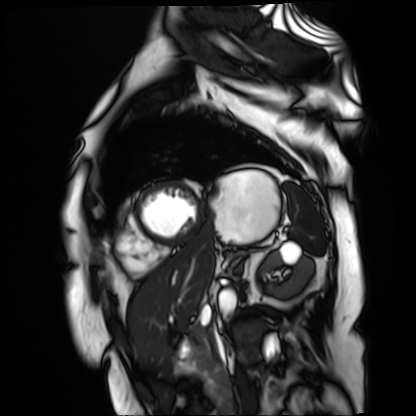
Cardiac MR image of the myocardium. Subject cohort: cardiac patient.